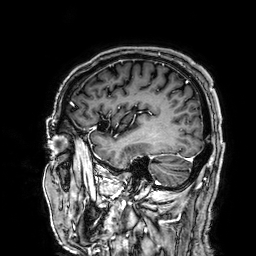
| field | value |
|---|---|
| modality | 3 Tesla brain MRI |
| series | 3D T1-weighted |
| study | ring-enhancing brain masses |